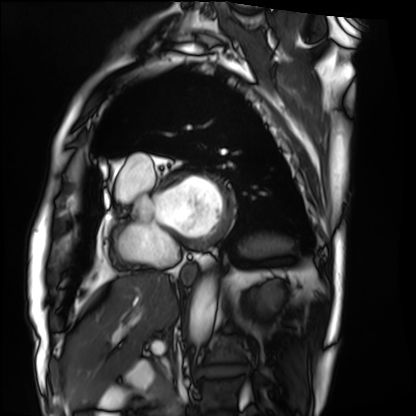
modality=cardiac MRI; subject group=patient.